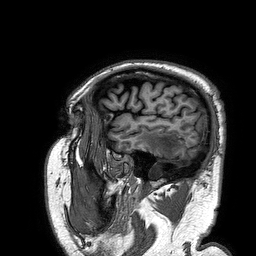
| field | value |
|---|---|
| modality | 3 Tesla brain MRI |
| series | 3D T1-weighted turbo field echo |
| study | ring-enhancing brain masses |